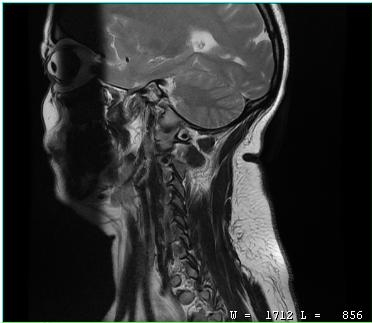
Case:
– modality: MRI of the cervical spine
– study: cervical spondylosis